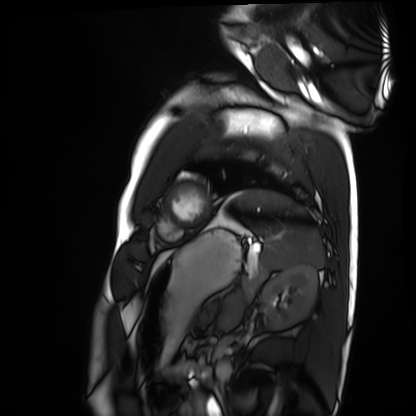
Cardiac MRI.
Subject group: healthy volunteer.